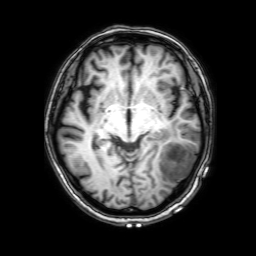
* modality: 3 Tesla brain MRI
* series: 3D T1-weighted with SENSE
* study: ring-enhancing brain masses